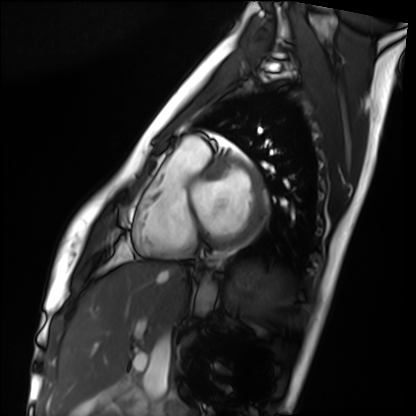
Cardiac MRI. Subject group: healthy volunteer.